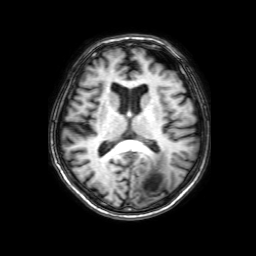
Q: What kind of scan is this?
A: 3 Tesla brain MRI.
Q: Series?
A: 3D T1-weighted with SENSE.
Study: ring-enhancing brain masses.